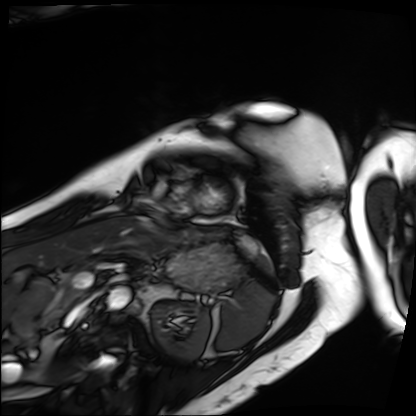
Cardiac MRI.
Subject group: patient.